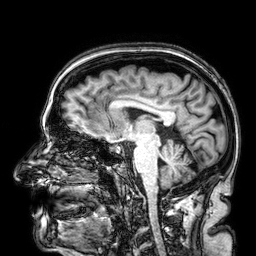
<study>
<modality>
  <type>brain MRI</type>
  <field_strength>3T</field_strength>
</modality>
<series>3D T1-weighted</series>
<study_topic>ring-enhancing brain masses</study_topic>
</study>